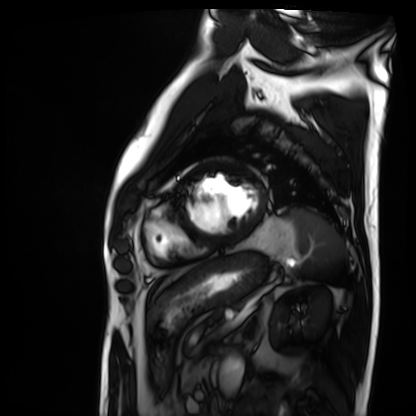
Q: What kind of scan is this?
A: Cardiac MRI.
Subject group: patient.